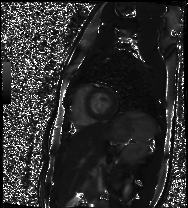
modality: cardiac MR image of the myocardium | subject cohort: healthy volunteer.